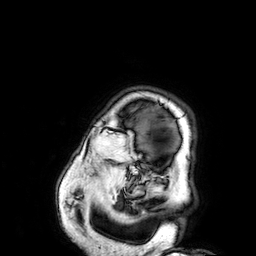
3 Tesla brain MRI.
Series: 3D T1-weighted.
Study: ring-enhancing brain masses.